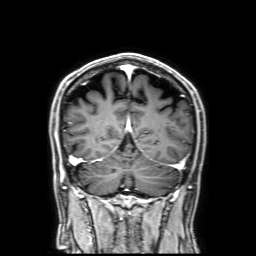
3 Tesla brain MRI.
Series: 3D T1-weighted with SENSE.
Study: ring-enhancing brain masses.